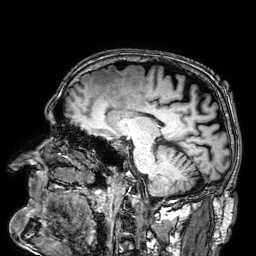
Summary:
3 Tesla brain MRI. Series: 3D T1-weighted. Study: ring-enhancing brain masses.